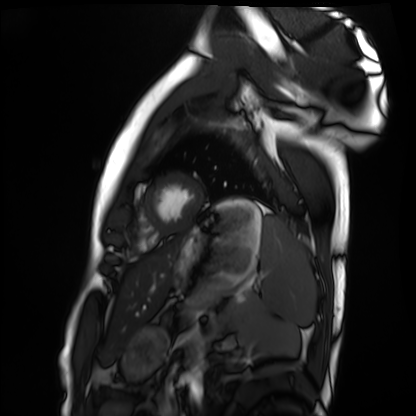
Q: What kind of scan is this?
A: Cardiac MRI.
Subject group: healthy volunteer.